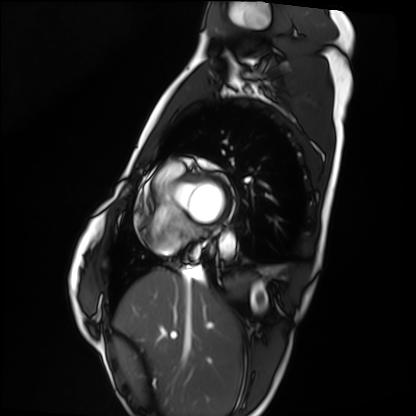
Q: What kind of scan is this?
A: Cardiac MRI.
Subject group: healthy volunteer.